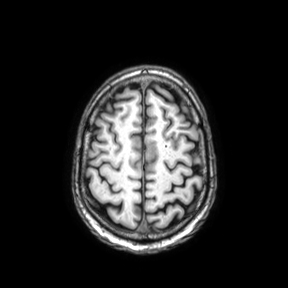
modality=3 Tesla brain MRI
series=axial
study=ring-enhancing brain masses